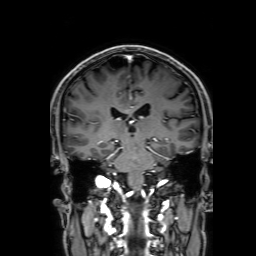
modality: 3 Tesla brain MRI
series: 3D T1-weighted with SENSE
study: ring-enhancing brain masses